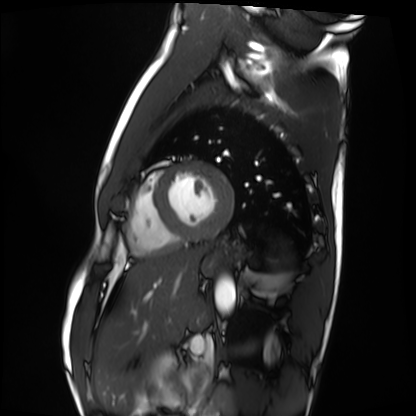
Cardiac MRI. Subject group: healthy volunteer.